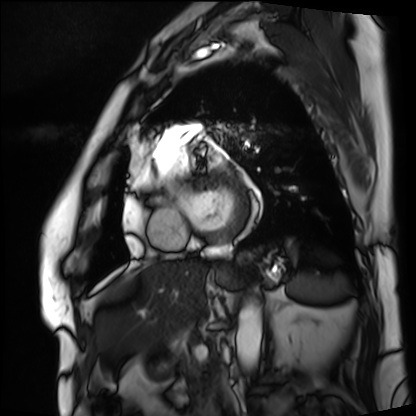
| field | value |
|---|---|
| modality | cardiac MRI |
| subject group | patient |